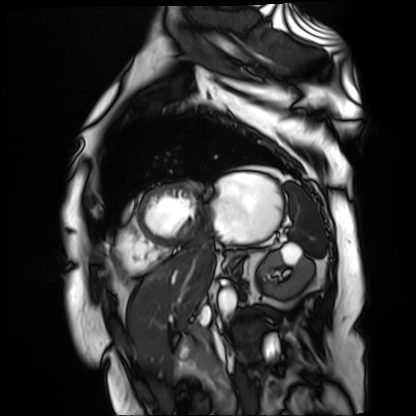
<scan>
  <modality>cardiac MR image of the myocardium</modality>
  <cohort>cardiac patient</cohort>
</scan>